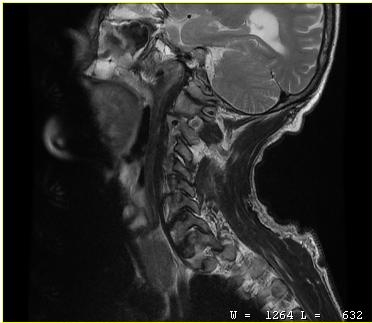
Q: What kind of scan is this?
A: MRI of the cervical spine.
Study: cervical spondylosis.